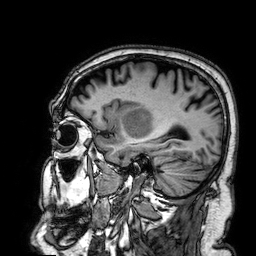
modality — 3 Tesla brain MRI
series — 3D T1-weighted
study — ring-enhancing brain masses